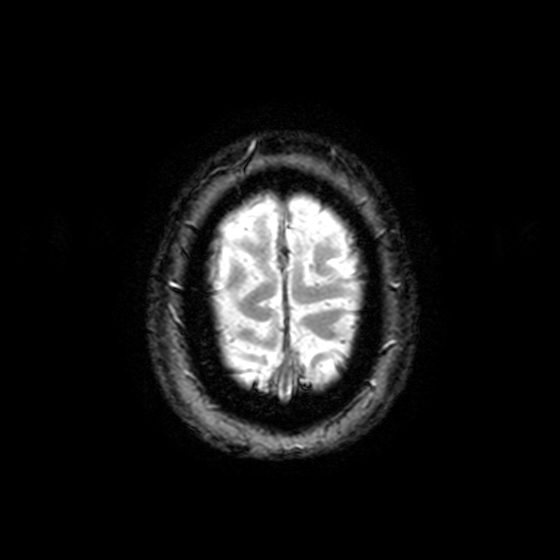
Q: What kind of scan is this?
A: 3 Tesla brain MRI.
Q: Series?
A: T2-weighted fast field echo with SENSE.
Study: ring-enhancing brain masses.